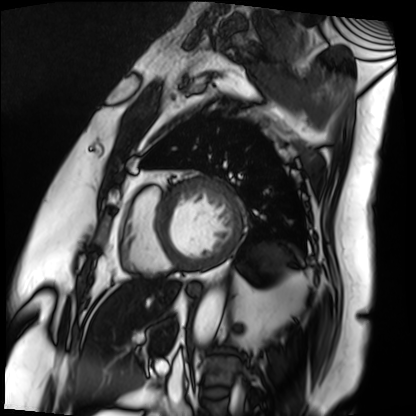
{"modality": "cardiac MRI", "cohort": "patient"}